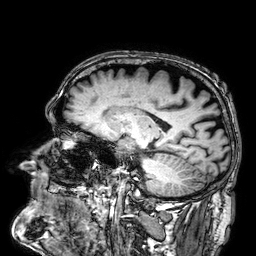
modality=3 Tesla brain MRI; series=3D T1-weighted; study=ring-enhancing brain masses.